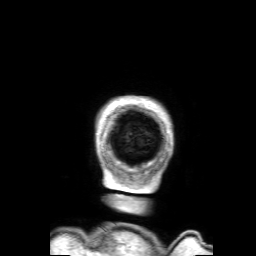
Summary: 3 Tesla brain MRI. Series: 3D T1-weighted with SENSE. Study: ring-enhancing brain masses.